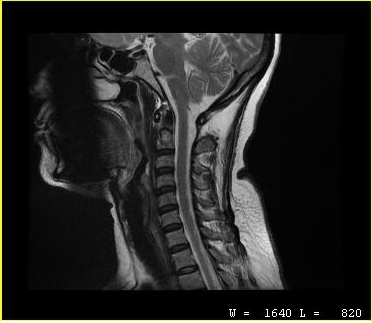
| field | value |
|---|---|
| modality | MRI of the cervical spine |
| study | cervical spondylosis |